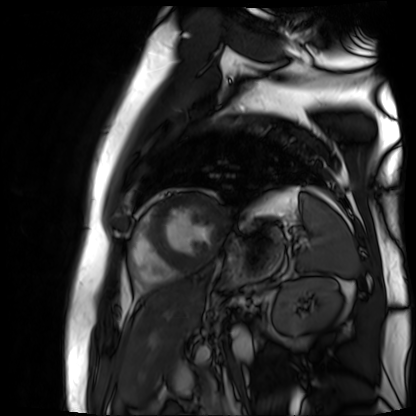
modality = cardiac MR image of the myocardium | subject cohort = cardiac patient.